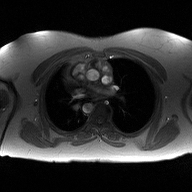
modality: 2D phase-contrast cine MRI of the ascending aorta.